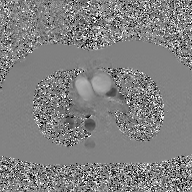
modality: 2D phase-contrast cine MRI of the ascending aorta, GAN super-resolution reconstruction